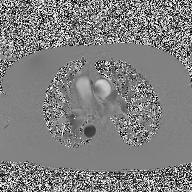
modality: 2D phase-contrast cine MRI of the ascending aorta.